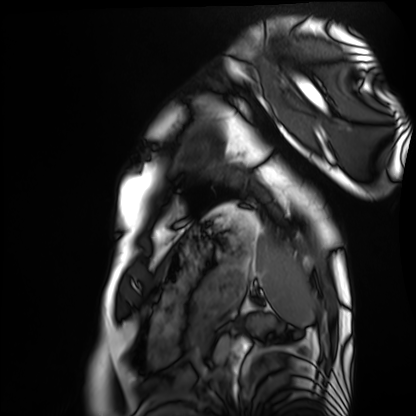
Cardiac MRI. Subject group: healthy volunteer.